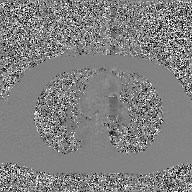
Q: What kind of scan is this?
A: 2D phase-contrast cine MRI of the ascending aorta, GAN super-resolution reconstruction.